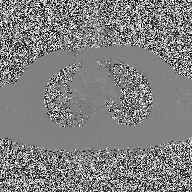
- modality: 2D phase-contrast cine MRI of the ascending aorta